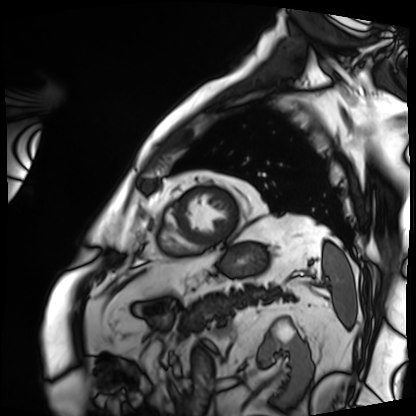
Cardiac MRI. Subject group: patient.